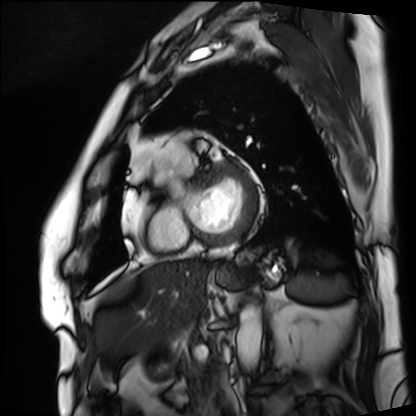
Cardiac MRI. Subject group: patient.